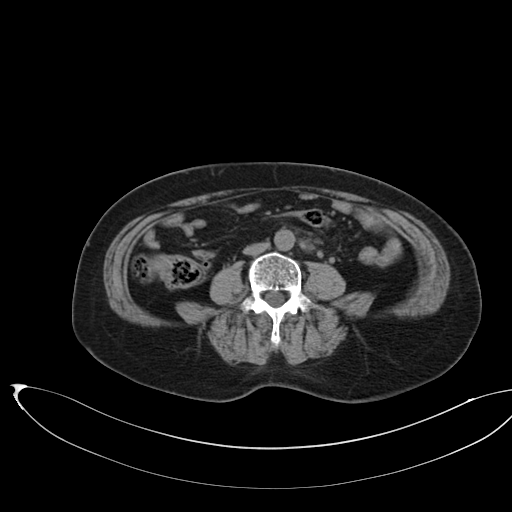
<scan>
<modality>
  <type>multiphase abdominal CT</type>
  <region>liver</region>
  <phase>non-contrast</phase>
</modality>
<patient>
  <sex>female</sex>
  <age>58</age>
</patient>
<history>prior chemotherapy</history>
</scan>